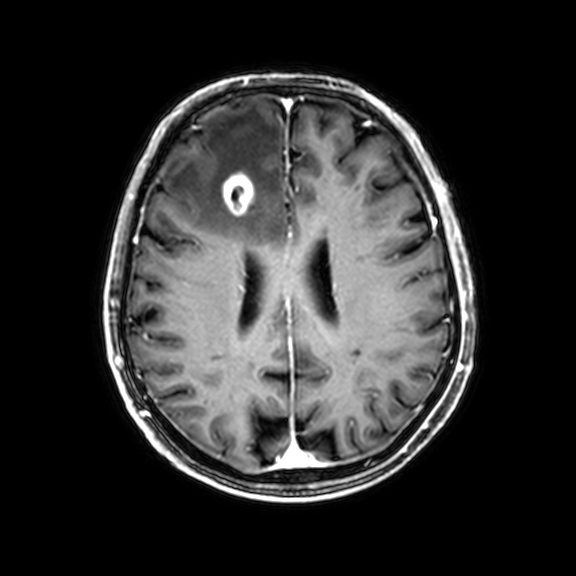
3 Tesla brain MRI. Series: 3D T1-weighted with CLEAR. Study: ring-enhancing brain masses.